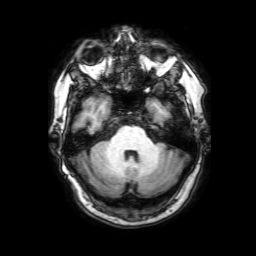
modality: 3 Tesla brain MRI
series: 3D T1-weighted with SENSE
study: ring-enhancing brain masses